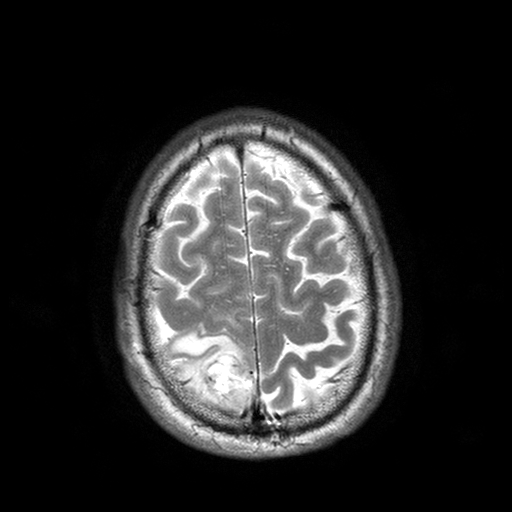
3 Tesla brain MRI.
Study: ring-enhancing brain masses.